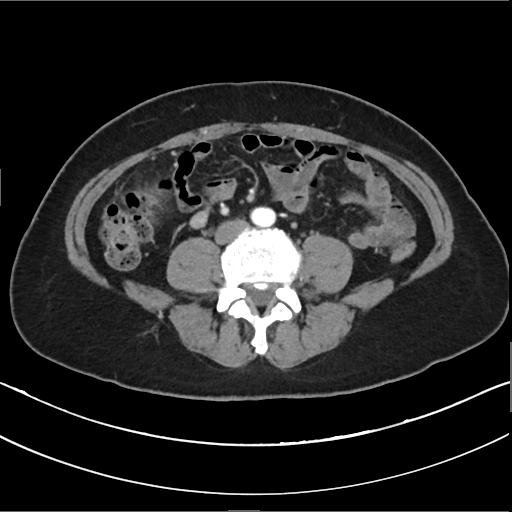
| field | value |
|---|---|
| modality | multiphase abdominal CT, liver, arterial phase |
| patient | female, age 54 |